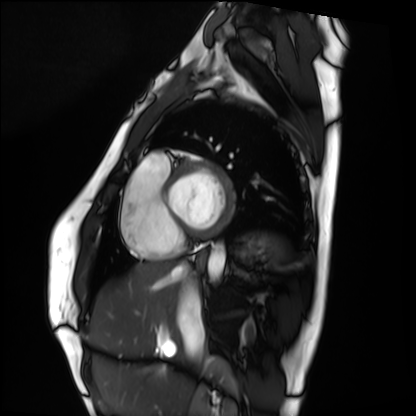
* modality: cardiac MRI
* subject group: healthy volunteer